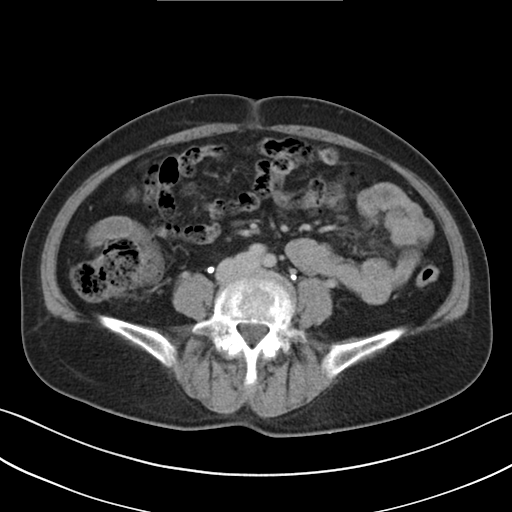
Multiphase abdominal CT, liver, delayed phase. Patient: female, age 56.